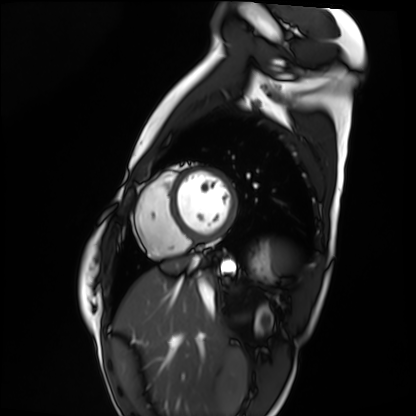
modality — cardiac MRI | subject group — healthy volunteer.